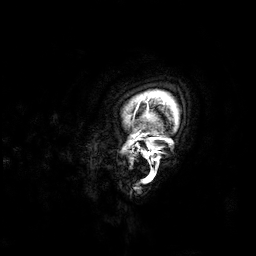
<study>
  <modality>
    <type>brain MRI</type>
    <field_strength>3T</field_strength>
  </modality>
  <series>3D T1-weighted</series>
  <study_topic>ring-enhancing brain masses</study_topic>
</study>